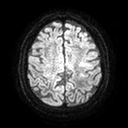
| field | value |
|---|---|
| modality | 3 Tesla brain MRI |
| series | diffusion tensor imaging (medium iso) |
| study | ring-enhancing brain masses |